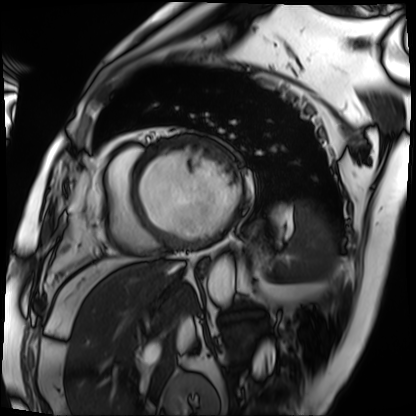
Cardiac MRI.
Subject group: patient.